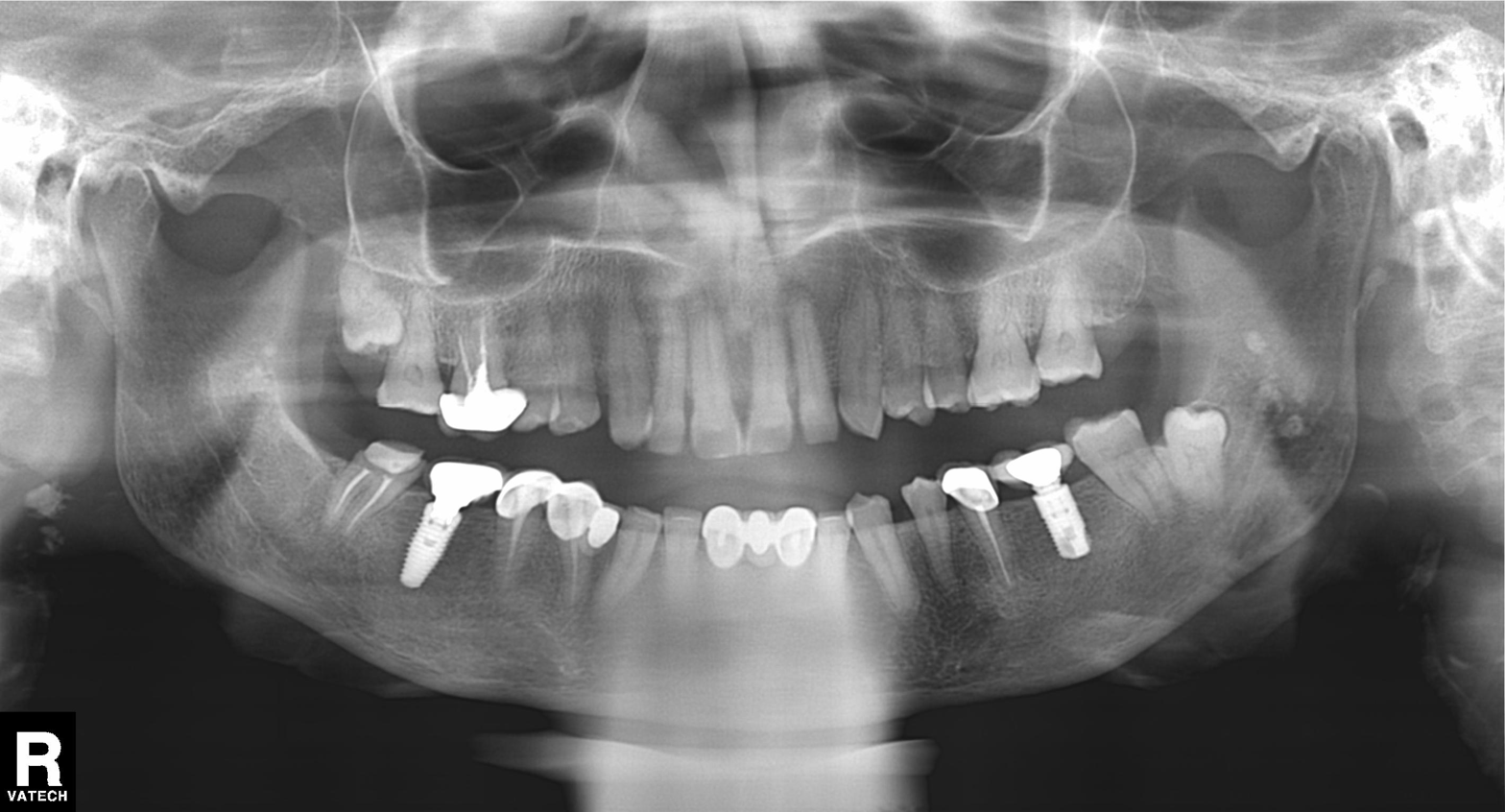
modality: panoramic dental radiograph (orthopantomogram) | finding: dental caries (cavities).